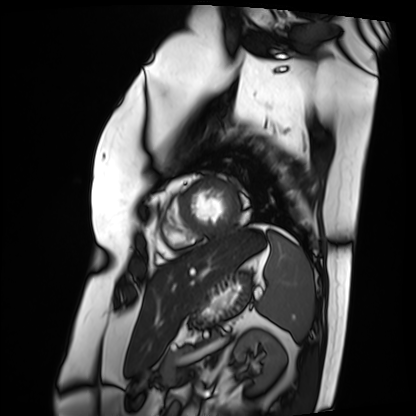
modality — cardiac MRI; subject group — patient.